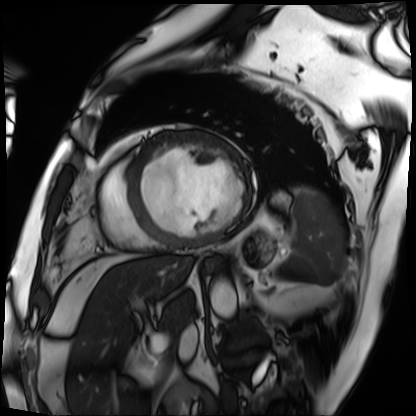
modality: cardiac MRI
cohort: patient